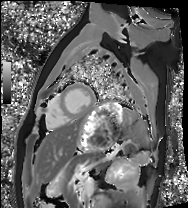
Cardiac MRI. Subject group: healthy volunteer.